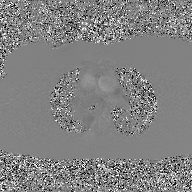
2D phase-contrast cine MRI of the ascending aorta, GAN super-resolution reconstruction.